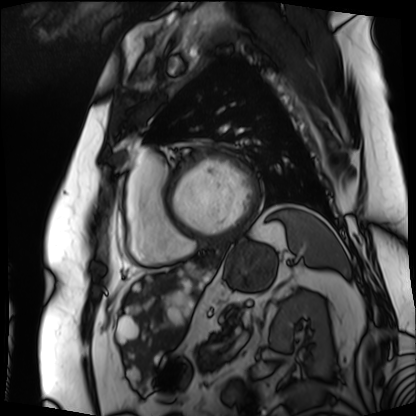
{"modality": "cardiac MRI", "cohort": "patient"}